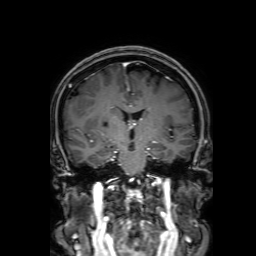
3 Tesla brain MRI. Series: 3D T1-weighted with SENSE. Study: ring-enhancing brain masses.